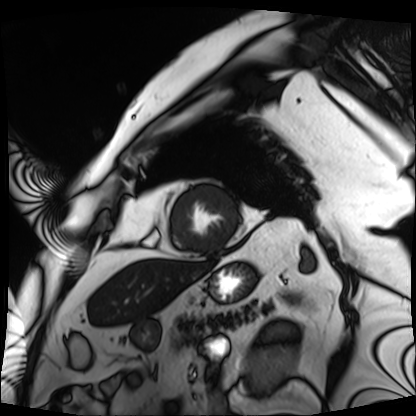
Q: What kind of scan is this?
A: Cardiac MRI.
Subject group: patient.